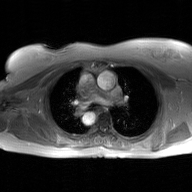
modality: 2D phase-contrast cine MRI of the ascending aorta, GAN super-resolution reconstruction.